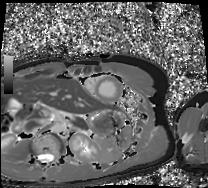
Cardiac MRI.
Subject group: healthy volunteer.